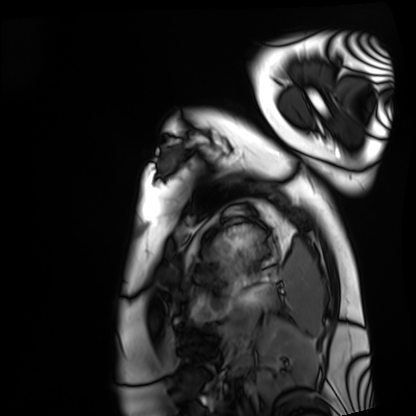
<case>
<modality>cardiac MRI</modality>
<cohort>healthy volunteer</cohort>
</case>